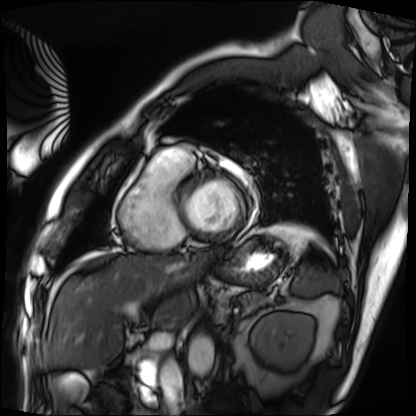
modality = cardiac MRI
subject group = patient